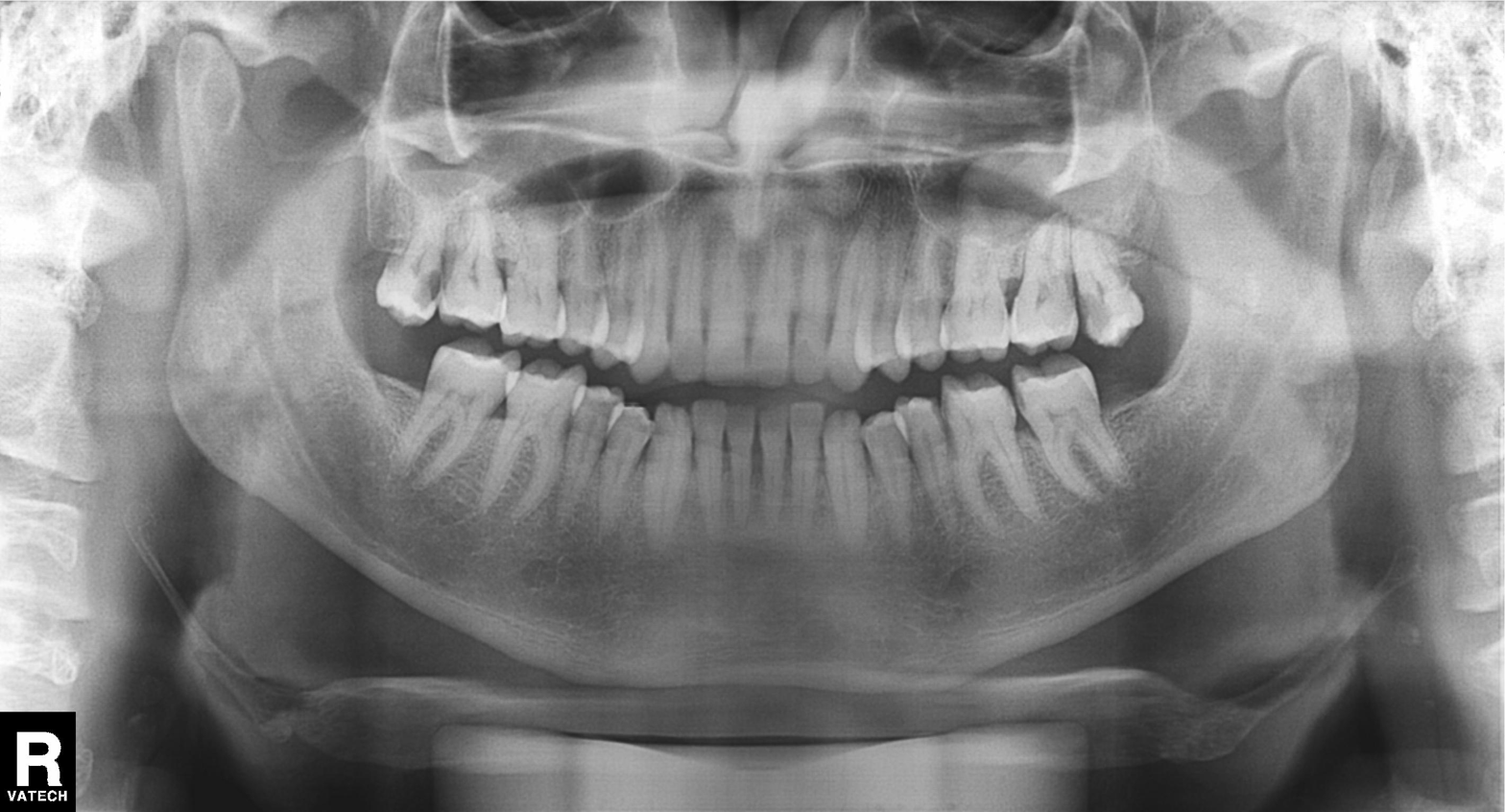
modality — panoramic dental radiograph (orthopantomogram); finding — tooth impaction.